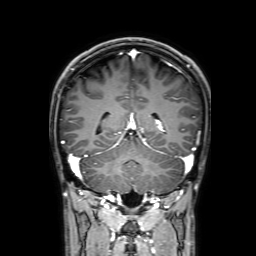
modality = 3 Tesla brain MRI
series = 3D T1-weighted with SENSE
study = ring-enhancing brain masses